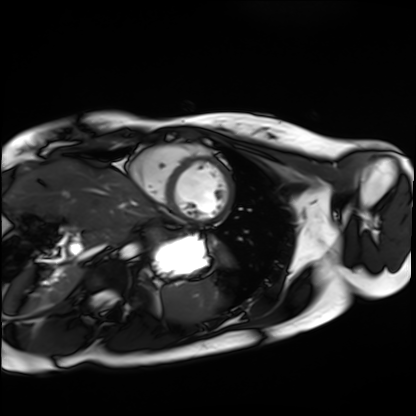
Case summary: Cardiac MRI. Subject group: healthy volunteer.